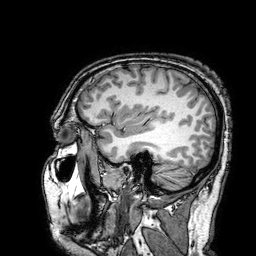
modality = 3 Tesla brain MRI; series = 3D T1-weighted turbo field echo with SENSE; study = ring-enhancing brain masses.